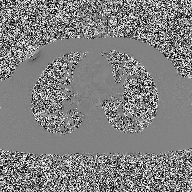
Summary:
2D phase-contrast cine MRI of the ascending aorta, high-resolution GRAPPA acquisition.